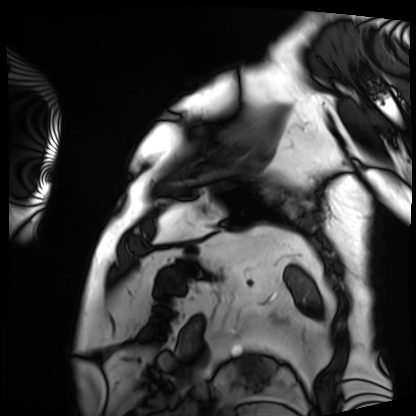
Cardiac MRI. Subject group: patient.